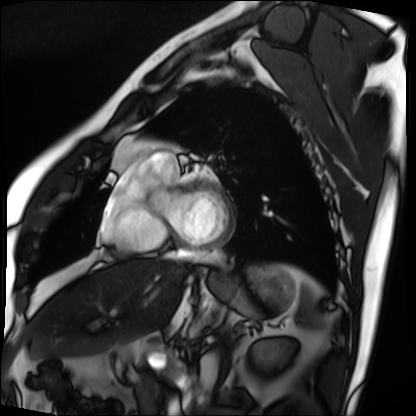
Cardiac MRI. Subject group: patient.